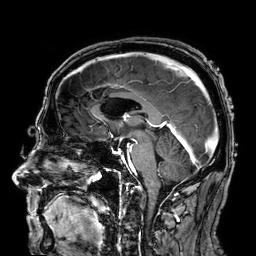
* modality: 3 Tesla brain MRI
* series: 3D T1-weighted
* study: ring-enhancing brain masses